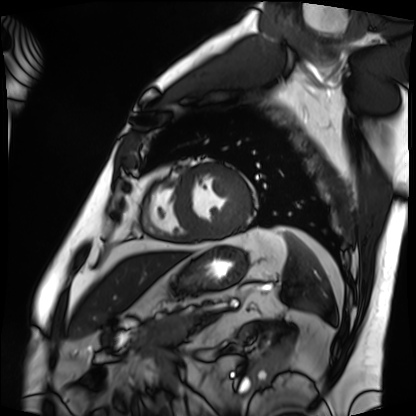
| field | value |
|---|---|
| modality | cardiac MRI |
| subject group | patient |